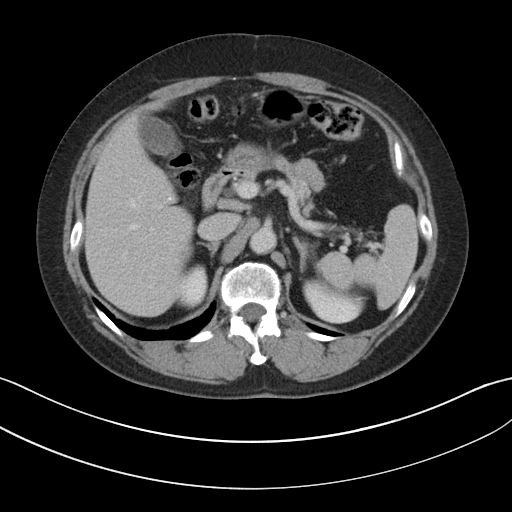
Multiphase abdominal CT, liver, portal venous phase.
Patient: female, age 57.
History: viral hepatitis.